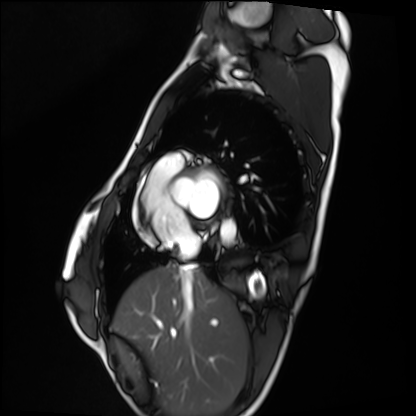
modality — cardiac MRI; subject group — healthy volunteer.